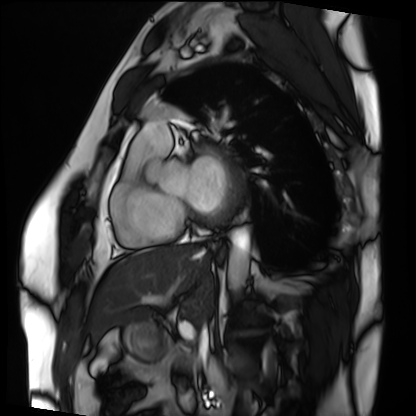
modality=cardiac MRI
subject group=patient